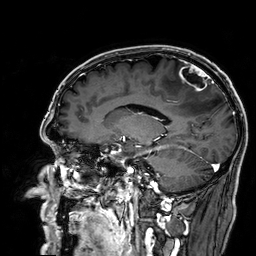
Case summary:
3 Tesla brain MRI. Series: 3D T1-weighted. Study: ring-enhancing brain masses.